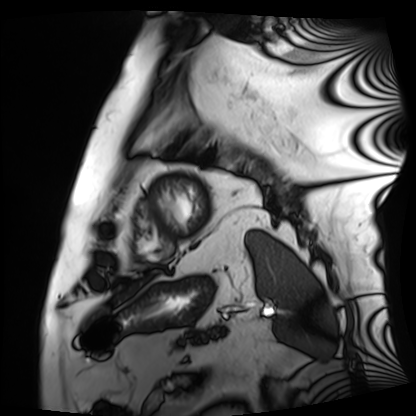
{
  "modality": "cardiac MRI",
  "cohort": "patient"
}